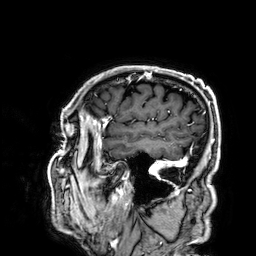
<scan>
  <modality>
    <type>brain MRI</type>
    <field_strength>3T</field_strength>
  </modality>
  <series>3D T1-weighted</series>
  <study_topic>ring-enhancing brain masses</study_topic>
</scan>